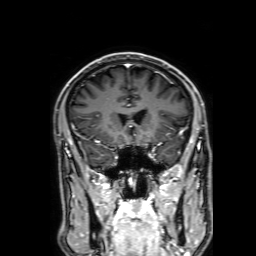
Clinical context:
3 Tesla brain MRI. Series: 3D T1-weighted with SENSE. Study: ring-enhancing brain masses.